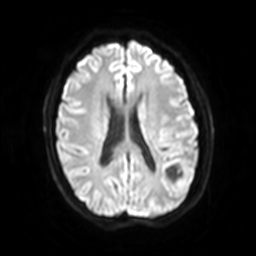
Case:
• modality: 3 Tesla brain MRI
• series: diffusion-weighted imaging with SENSE (WIP)
• study: ring-enhancing brain masses